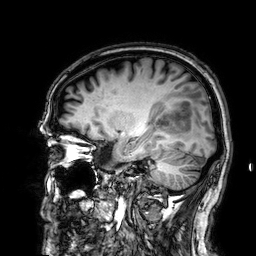
Q: What kind of scan is this?
A: 3 Tesla brain MRI.
Q: Series?
A: 3D T1-weighted.
Study: ring-enhancing brain masses.